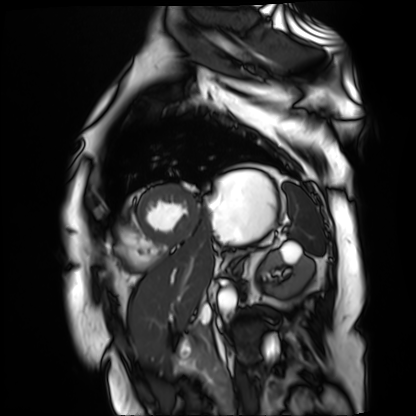
Summary: Cardiac MR image of the myocardium. Subject cohort: cardiac patient.